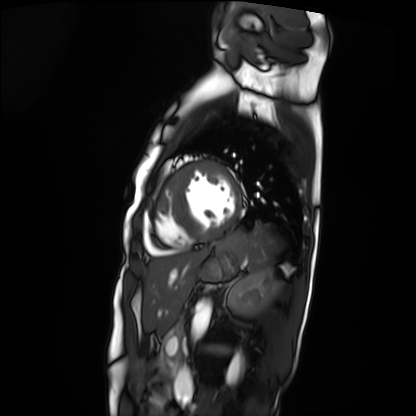
Q: What kind of scan is this?
A: Cardiac MRI.
Subject group: patient.